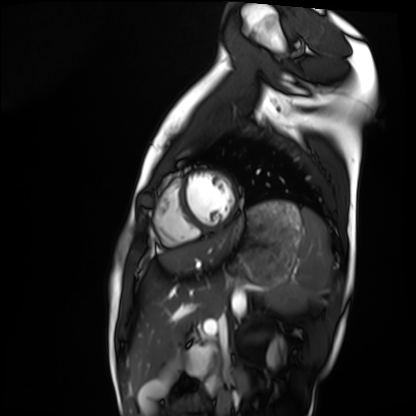
{"modality": "cardiac MRI", "cohort": "healthy volunteer"}